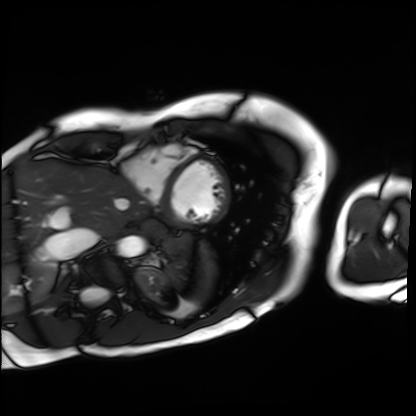
  modality: cardiac MRI
  cohort: patient